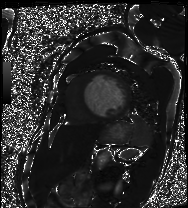
modality = cardiac MRI, subject group = patient.